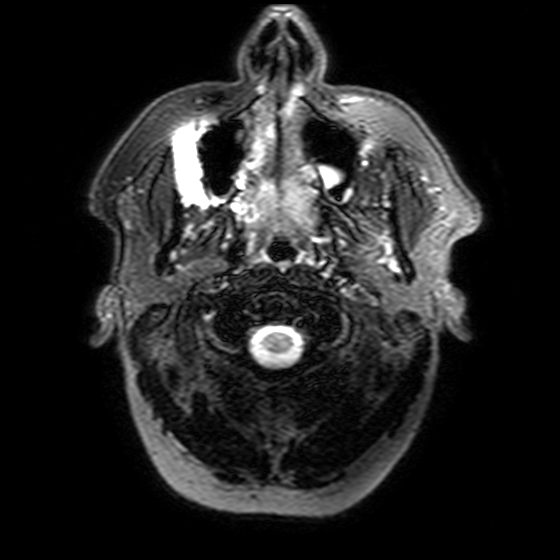
Summary:
3 Tesla brain MRI. Series: T2-weighted FLAIR. Study: ring-enhancing brain masses.